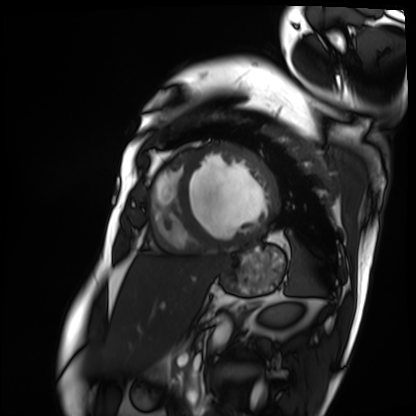
modality = cardiac MRI; subject group = patient.